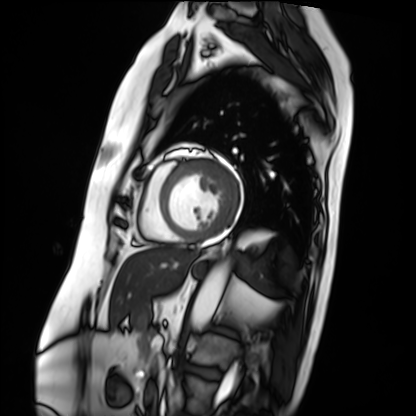
Cardiac MRI. Subject group: patient.